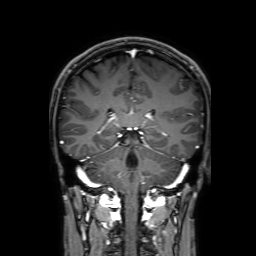
• modality: 3 Tesla brain MRI
• series: 3D T1-weighted with SENSE
• study: ring-enhancing brain masses